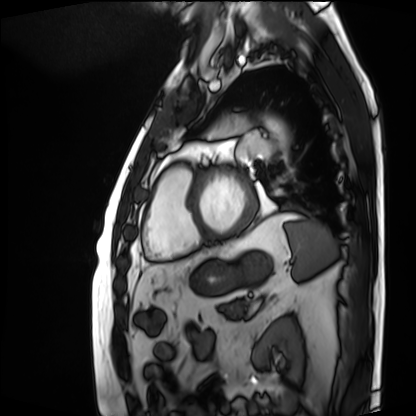
Cardiac MRI.
Subject group: patient.